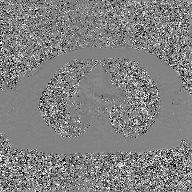
  modality:
    type: 2D phase-contrast cine MRI
    region: ascending aorta
    reconstruction: GAN super-resolution reconstruction